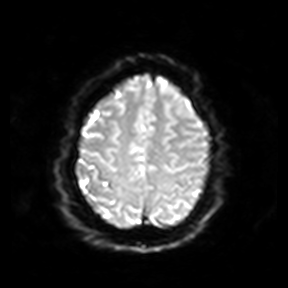
Case:
- modality · 3 Tesla brain MRI
- series · diffusion-weighted imaging
- study · ring-enhancing brain masses